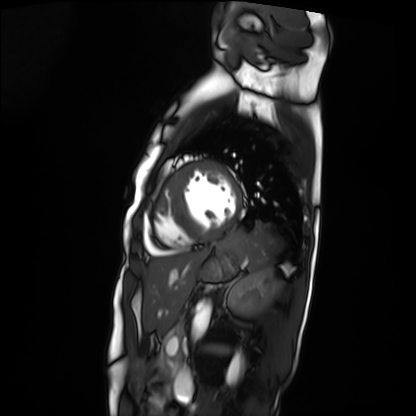
- modality — cardiac MRI
- subject group — patient